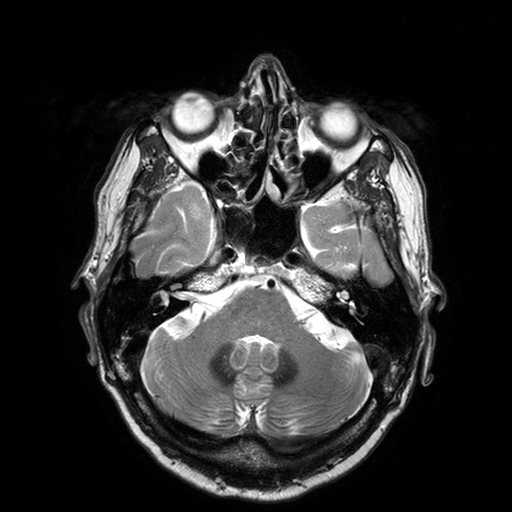
- modality · 3 Tesla brain MRI
- series · T2-weighted turbo spin echo with SENSE
- study · ring-enhancing brain masses